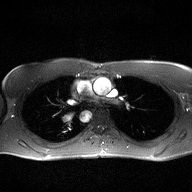
2D phase-contrast cine MRI of the ascending aorta, high-resolution GRAPPA acquisition.